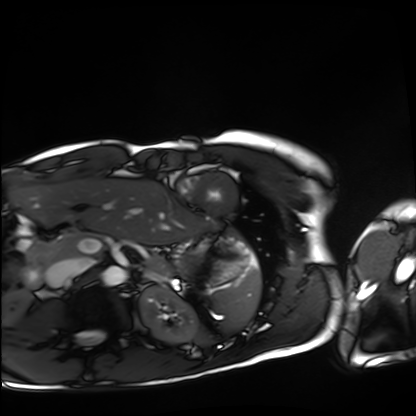
modality: cardiac MRI; subject group: healthy volunteer.